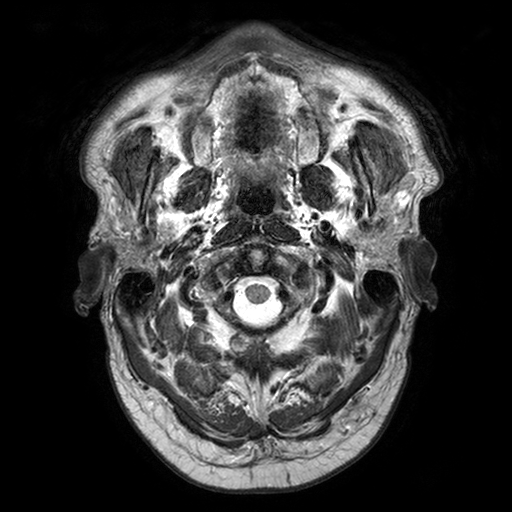
modality=3 Tesla brain MRI | series=T2-weighted turbo spin echo with SENSE | study=ring-enhancing brain masses.